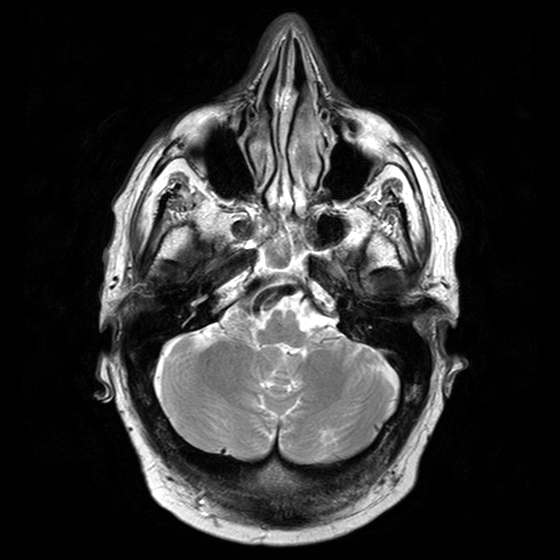
| field | value |
|---|---|
| modality | 3 Tesla brain MRI |
| series | T2-weighted turbo spin echo with CLEAR |
| study | ring-enhancing brain masses |